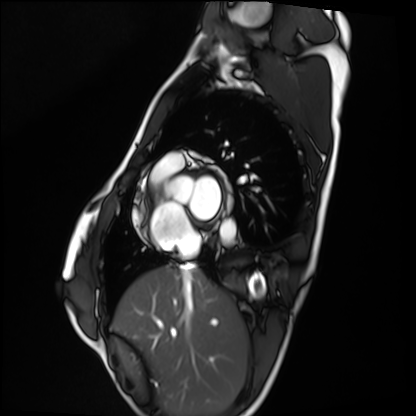
Cardiac MRI.
Subject group: healthy volunteer.